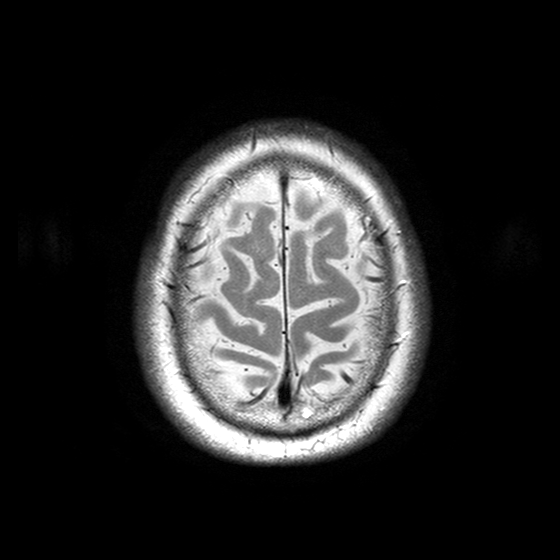
modality=3 Tesla brain MRI
series=T2-weighted turbo spin echo with SENSE
study=ring-enhancing brain masses